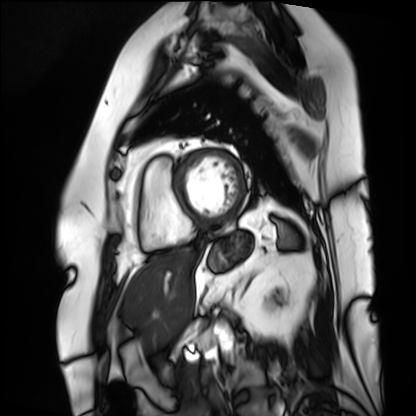
Cardiac MRI. Subject group: patient.